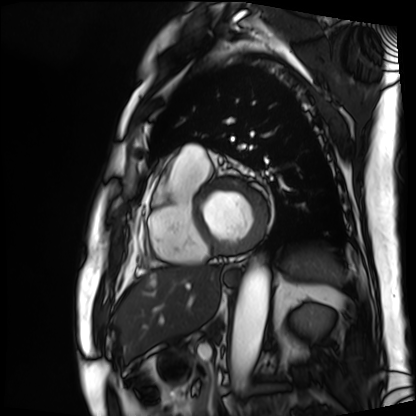
Cardiac MRI.
Subject group: patient.